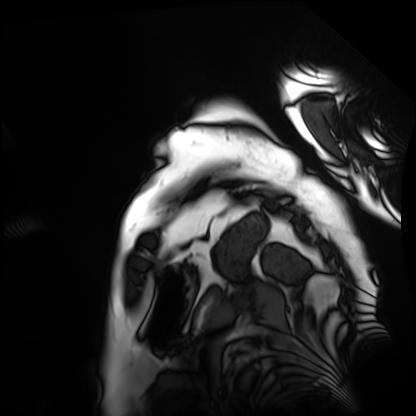
Summary:
Cardiac MRI. Subject group: patient.